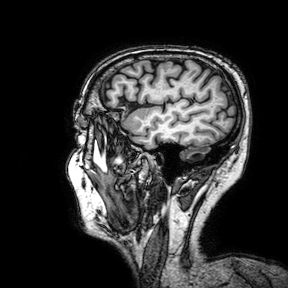
3 Tesla brain MRI. Series: 3D T1-weighted turbo field echo with SENSE. Study: ring-enhancing brain masses.